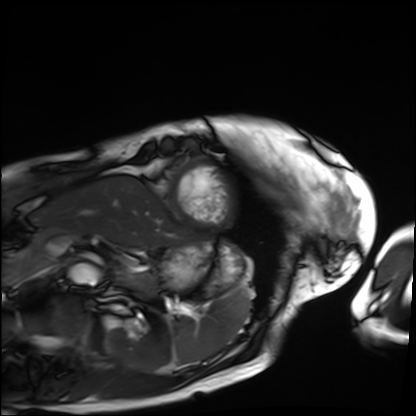
Cardiac MRI.
Subject group: patient.